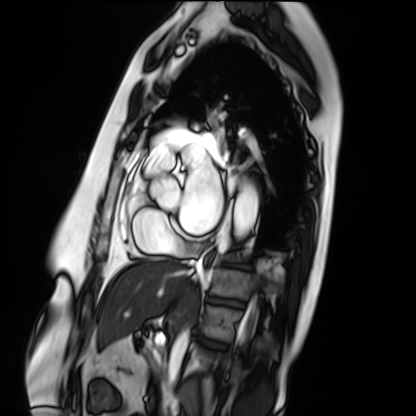
Cardiac MRI. Subject group: patient.